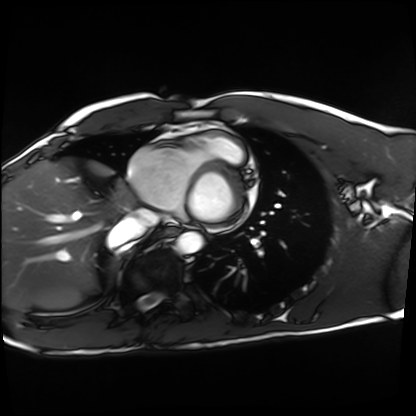
Cardiac MRI.
Subject group: healthy volunteer.